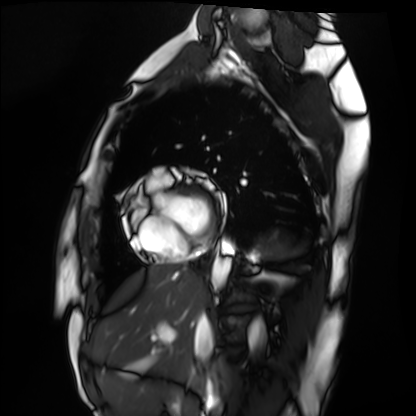
Clinical context:
Cardiac MRI. Subject group: healthy volunteer.